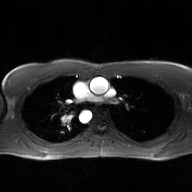
modality: 2D phase-contrast cine MRI of the ascending aorta, GAN super-resolution reconstruction.